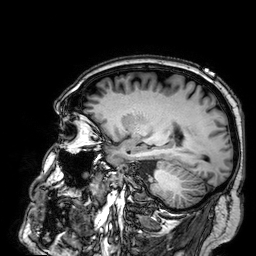
3 Tesla brain MRI. Study: ring-enhancing brain masses.